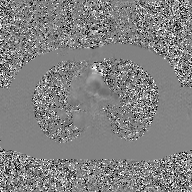
2D phase-contrast cine MRI of the ascending aorta, GAN super-resolution reconstruction.